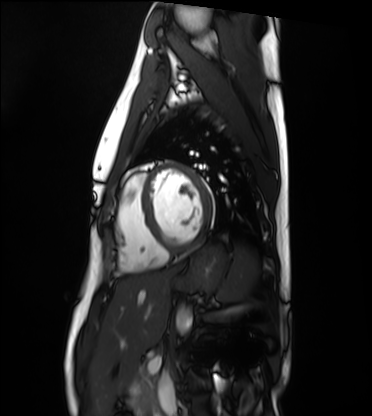
Summary: Cardiac MRI. Subject group: healthy volunteer.